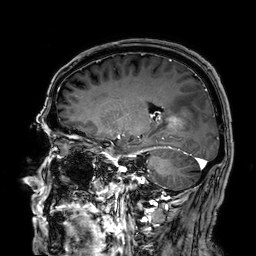
3 Tesla brain MRI.
Series: 3D T1-weighted.
Study: ring-enhancing brain masses.